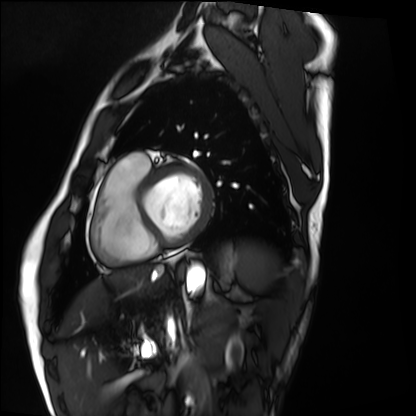
Case summary: Cardiac MRI. Subject group: healthy volunteer.